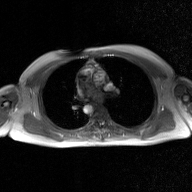
Clinical context: 2D phase-contrast cine MRI of the ascending aorta, GAN super-resolution reconstruction.